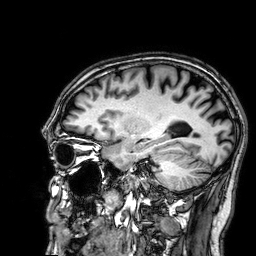
Q: What kind of scan is this?
A: 3 Tesla brain MRI.
Q: Series?
A: 3D T1-weighted.
Study: ring-enhancing brain masses.